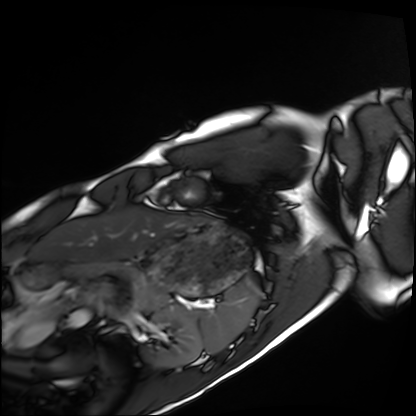
{"modality": "cardiac MRI", "cohort": "healthy volunteer"}